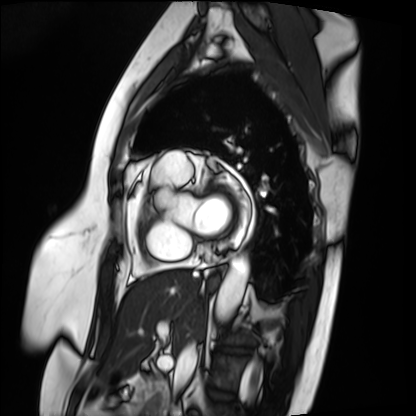
{"modality": "cardiac MRI", "cohort": "patient"}